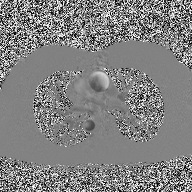
Q: What kind of scan is this?
A: 2D phase-contrast cine MRI of the ascending aorta.